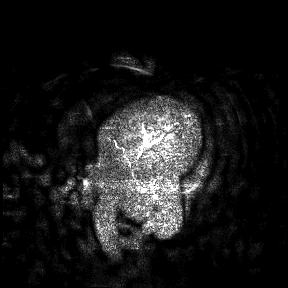
modality: 3 Tesla brain MRI; study: ring-enhancing brain masses.